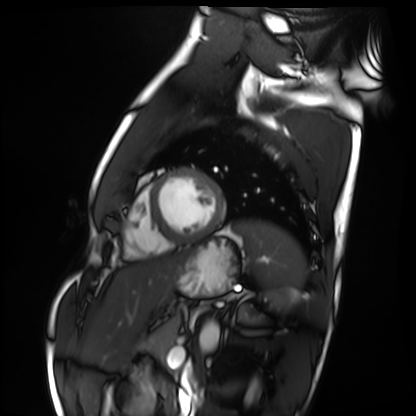
Cardiac MRI. Subject group: healthy volunteer.